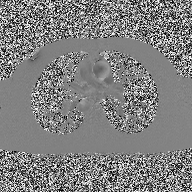
modality: 2D phase-contrast cine MRI of the ascending aorta